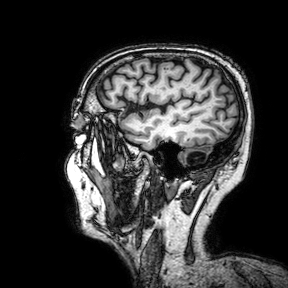
| field | value |
|---|---|
| modality | 3 Tesla brain MRI |
| series | 3D T1-weighted turbo field echo with SENSE |
| study | ring-enhancing brain masses |